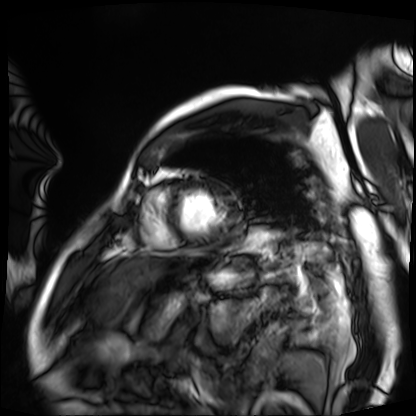
{"modality": "cardiac MRI", "cohort": "patient"}